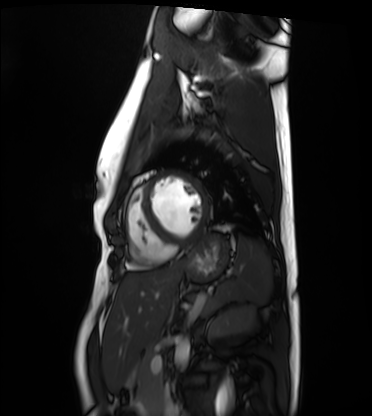
Summary: Cardiac MRI. Subject group: healthy volunteer.